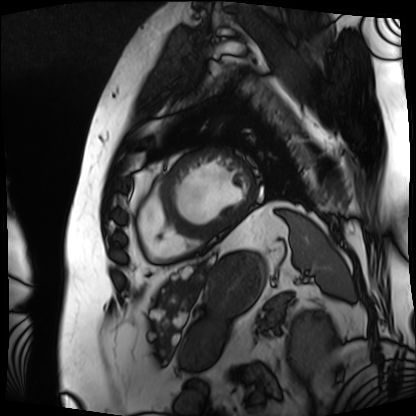
- modality — cardiac MRI
- subject group — patient